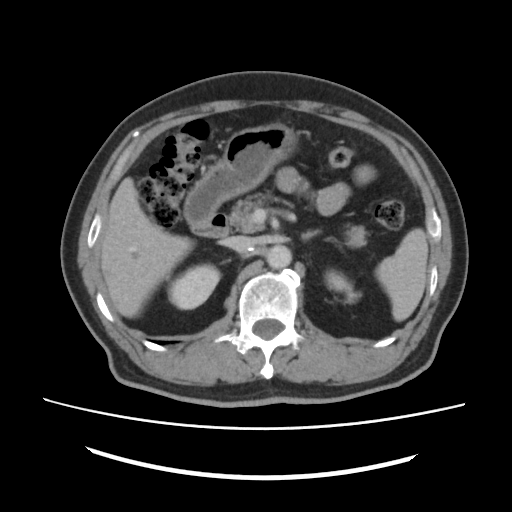
Summary:
Multiphase abdominal CT, liver, portal venous phase. Patient: male, age 73.